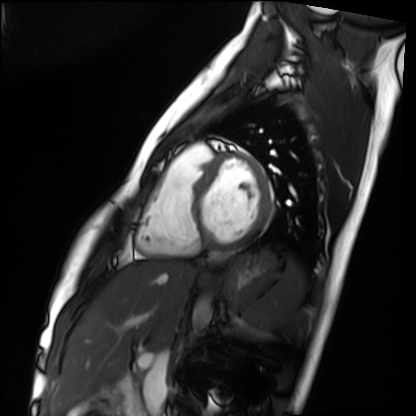
* modality · cardiac MRI
* subject group · healthy volunteer